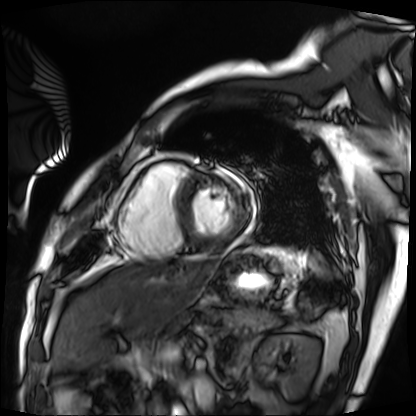
Cardiac MRI.
Subject group: patient.